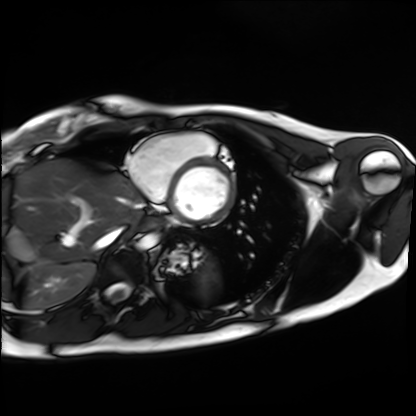
Q: What kind of scan is this?
A: Cardiac MRI.
Subject group: healthy volunteer.